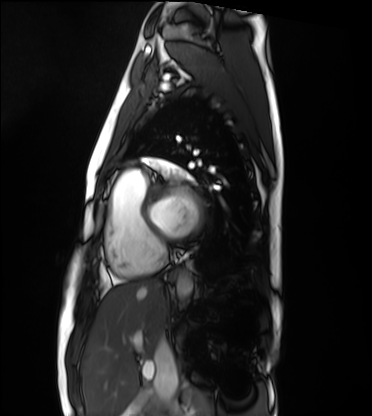
Q: What kind of scan is this?
A: Cardiac MRI.
Subject group: healthy volunteer.